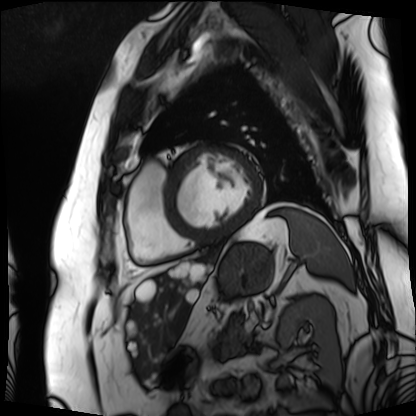
{"modality": "cardiac MRI", "cohort": "patient"}